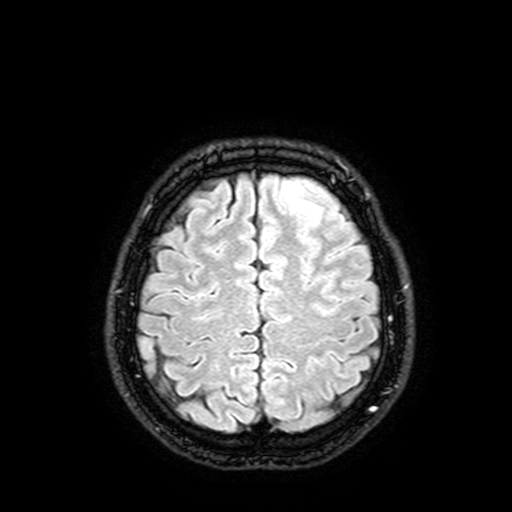
3 Tesla brain MRI. Series: FLAIR with SPAIR, 3 mm. Study: ring-enhancing brain masses.